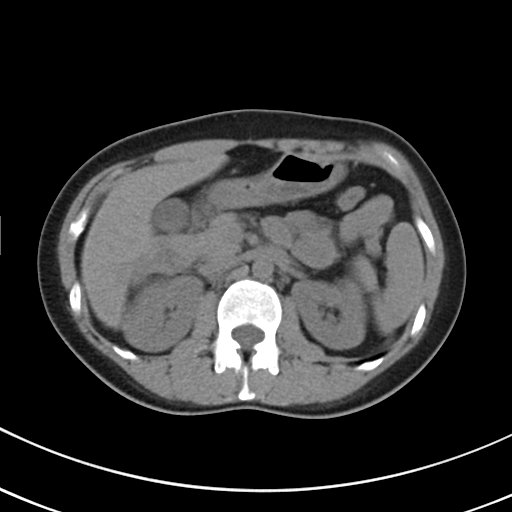
{"modality": {"type": "multiphase abdominal CT", "region": "liver", "phase": "non-contrast"}, "patient": {"sex": "female", "age": 44}}